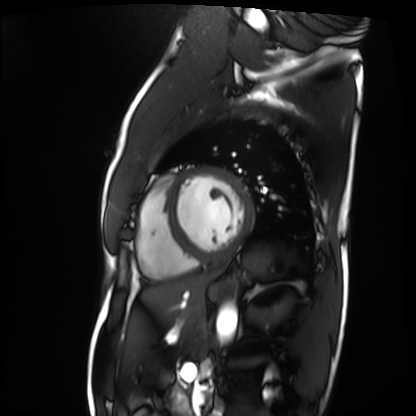
  modality: cardiac MRI
  cohort: patient